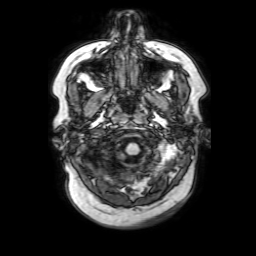
<study>
  <modality>
    <type>brain MRI</type>
    <field_strength>3T</field_strength>
  </modality>
  <series>3D T1-weighted with SENSE</series>
  <study_topic>ring-enhancing brain masses</study_topic>
</study>